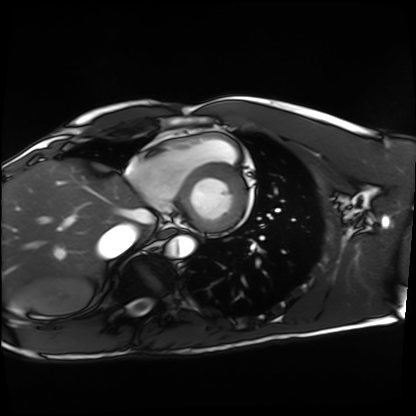
- modality — cardiac MRI
- subject group — healthy volunteer